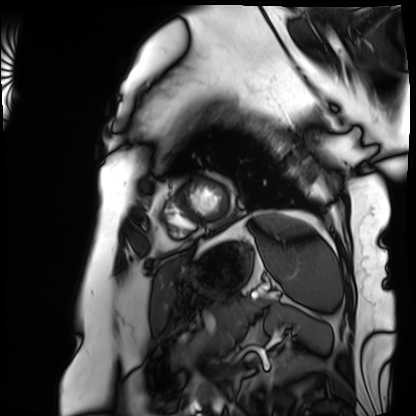
| field | value |
|---|---|
| modality | cardiac MRI |
| subject group | patient |